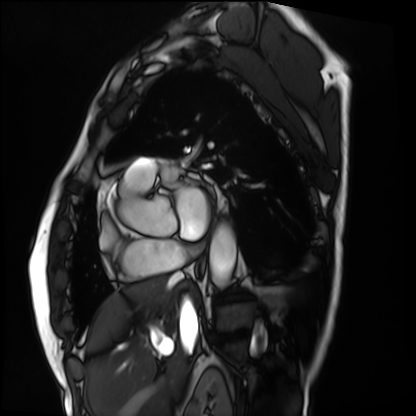
Summary: Cardiac MRI. Subject group: patient.